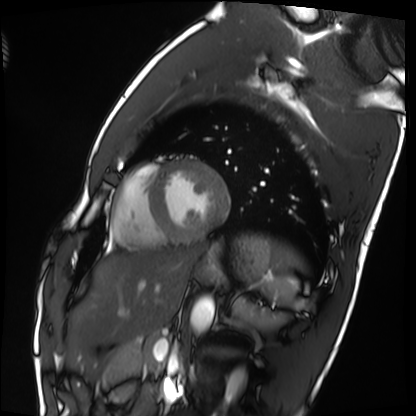
Cardiac MRI. Subject group: healthy volunteer.